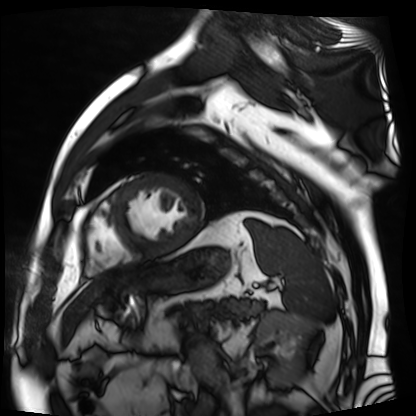
modality — cardiac MR image of the myocardium; subject cohort — cardiac patient.